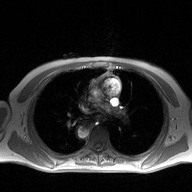
2D phase-contrast cine MRI of the ascending aorta, high-resolution GRAPPA acquisition.